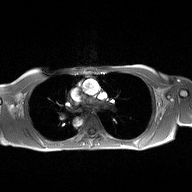
<scan>
  <modality>
    <type>2D phase-contrast cine MRI</type>
    <region>ascending aorta</region>
    <reconstruction>high-resolution GRAPPA acquisition</reconstruction>
  </modality>
</scan>